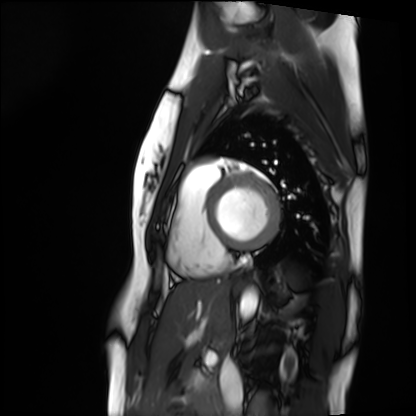
Cardiac MRI.
Subject group: healthy volunteer.